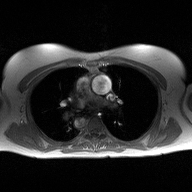
{"modality": {"type": "2D phase-contrast cine MRI", "region": "ascending aorta", "reconstruction": "high-resolution GRAPPA acquisition"}}